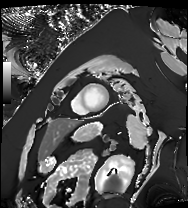
Clinical context:
Cardiac MRI. Subject group: patient.